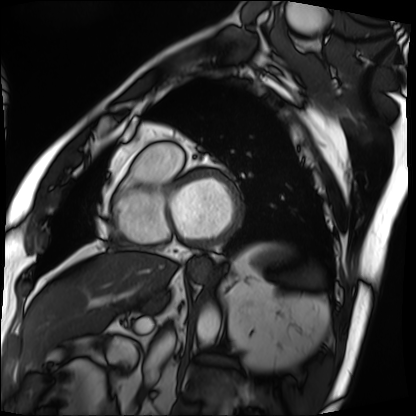
{"modality": "cardiac MRI", "cohort": "patient"}